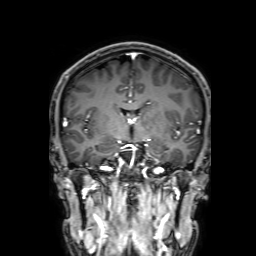
modality=3 Tesla brain MRI | series=3D T1-weighted with SENSE | study=ring-enhancing brain masses.